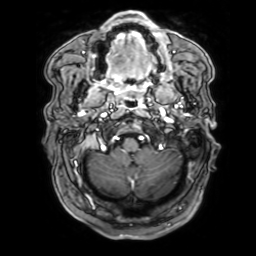
{
  "modality": {
    "type": "brain MRI",
    "field_strength": "3T"
  },
  "series": "3D T1-weighted with SENSE",
  "study_topic": "ring-enhancing brain masses"
}